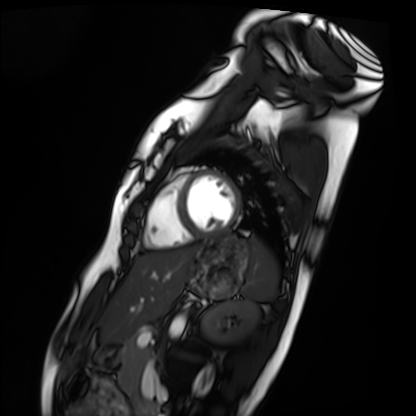
modality = cardiac MRI | subject group = healthy volunteer.